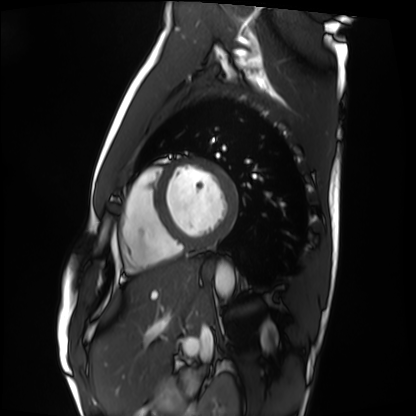
<scan>
<modality>cardiac MRI</modality>
<cohort>healthy volunteer</cohort>
</scan>